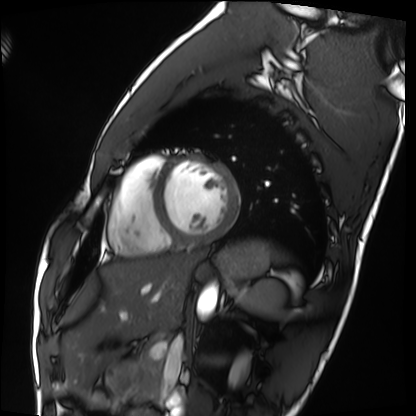
Clinical context:
Cardiac MRI. Subject group: healthy volunteer.